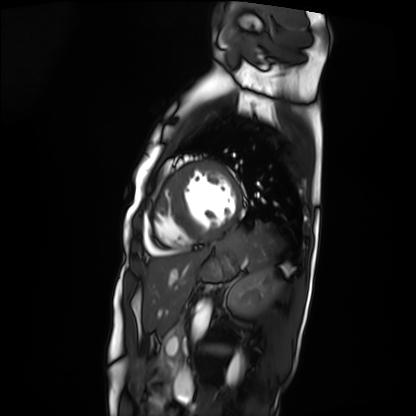
Cardiac MRI.
Subject group: patient.